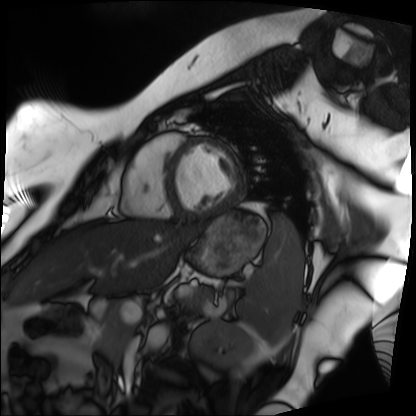
Summary: Cardiac MRI. Subject group: patient.